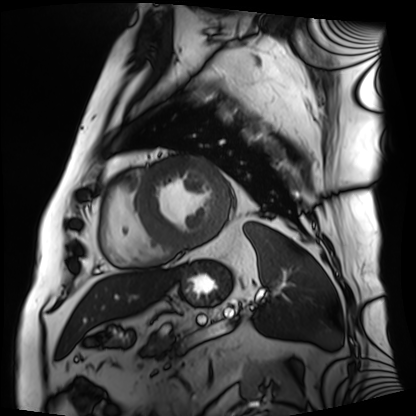
Summary: Cardiac MRI. Subject group: patient.